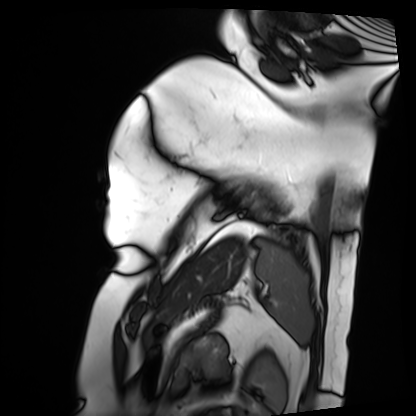
<scan>
<modality>cardiac MRI</modality>
<cohort>patient</cohort>
</scan>